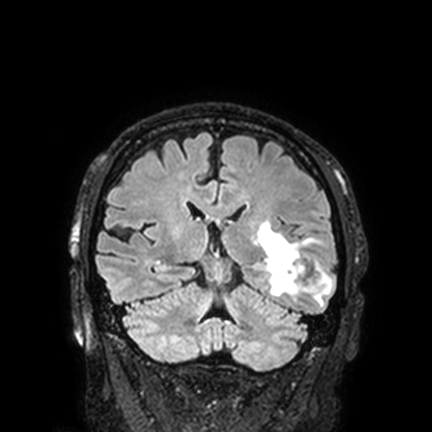
Clinical context:
3 Tesla brain MRI. Series: FLAIR VISTA with SENSE. Study: ring-enhancing brain masses.